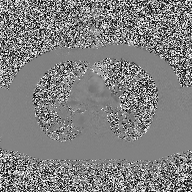
Clinical context: 2D phase-contrast cine MRI of the ascending aorta, high-resolution GRAPPA acquisition.